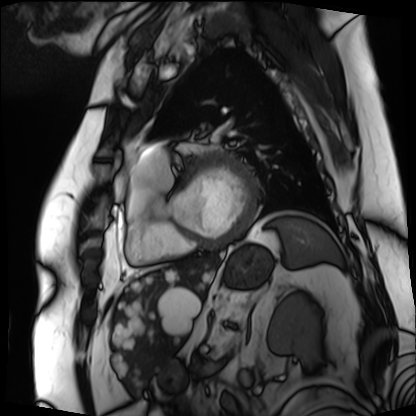
Cardiac MRI. Subject group: patient.